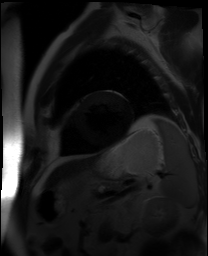
Cardiac MR image of the myocardium. Subject cohort: cardiac patient.